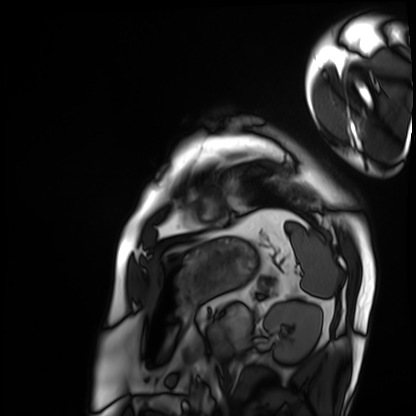
  modality: cardiac MRI
  cohort: patient